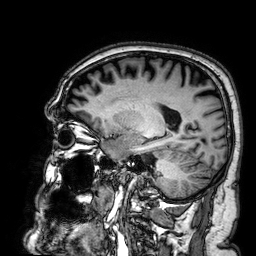
Summary: 3 Tesla brain MRI. Series: 3D T1-weighted. Study: ring-enhancing brain masses.